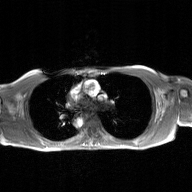
• modality: 2D phase-contrast cine MRI of the ascending aorta, GAN super-resolution reconstruction